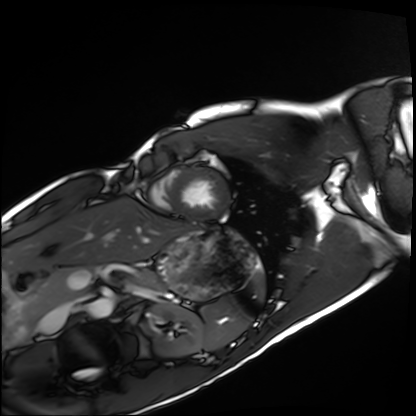
modality = cardiac MRI | subject group = healthy volunteer.